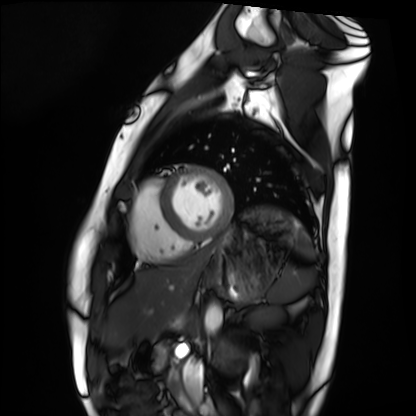
Cardiac MRI.
Subject group: healthy volunteer.